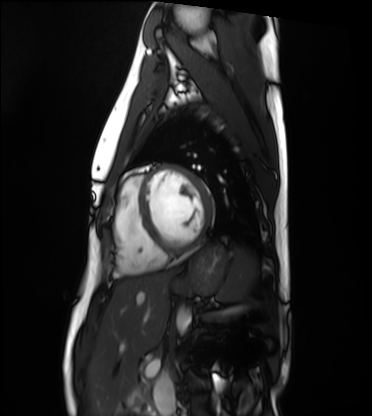
modality: cardiac MRI
cohort: healthy volunteer